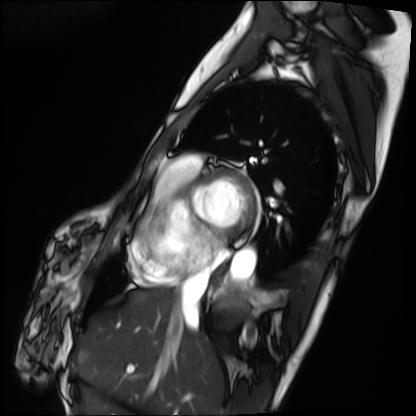
modality: cardiac MRI
subject group: patient